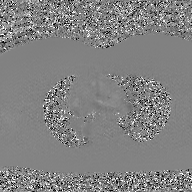
2D phase-contrast cine MRI of the ascending aorta, GAN super-resolution reconstruction.